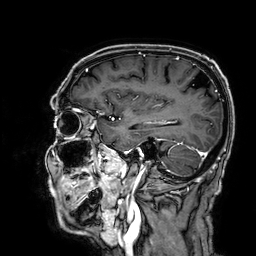
3 Tesla brain MRI.
Series: 3D T1-weighted.
Study: ring-enhancing brain masses.